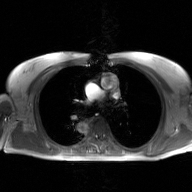
Case summary: 2D phase-contrast cine MRI of the ascending aorta, GAN super-resolution reconstruction.